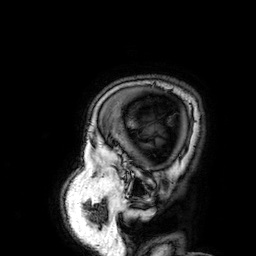
3 Tesla brain MRI.
Series: 3D T1-weighted.
Study: ring-enhancing brain masses.